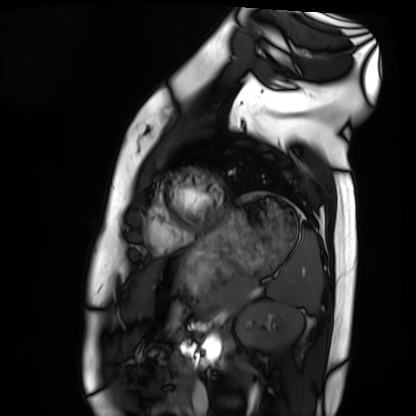
modality: cardiac MRI | subject group: healthy volunteer.